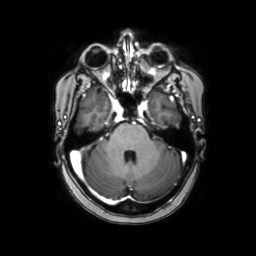
| field | value |
|---|---|
| modality | 3 Tesla brain MRI |
| series | axial with contrast |
| study | ring-enhancing brain masses |